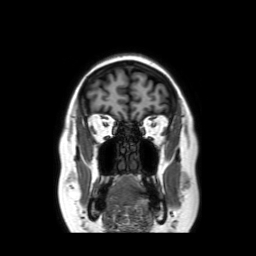
Summary:
3 Tesla brain MRI. Series: coronal without contrast. Study: ring-enhancing brain masses.